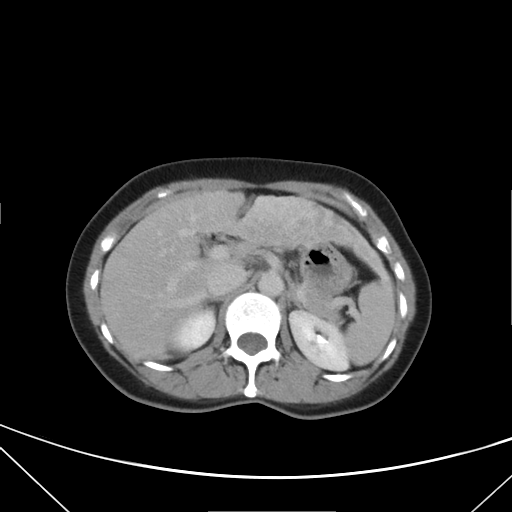
Clinical context:
Multiphase abdominal CT, liver, delayed phase. Patient: female, age 42. History: prior chemotherapy.